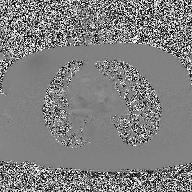
Clinical context:
2D phase-contrast cine MRI of the ascending aorta, high-resolution GRAPPA acquisition.